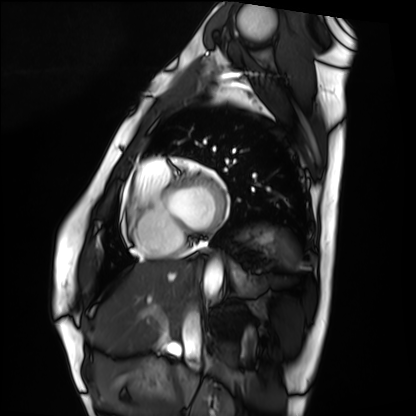
Q: What kind of scan is this?
A: Cardiac MRI.
Subject group: healthy volunteer.